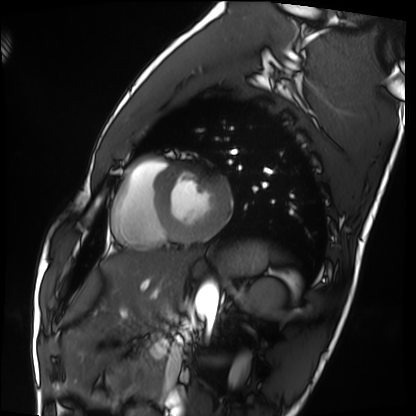
modality — cardiac MRI
subject group — healthy volunteer